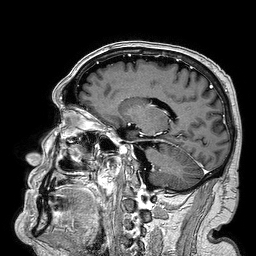
Case:
• modality · 3 Tesla brain MRI
• series · 3D T1-weighted turbo field echo
• study · ring-enhancing brain masses